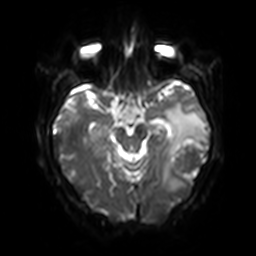
Case summary: 3 Tesla brain MRI. Series: diffusion-weighted imaging with SENSE (WIP). Study: ring-enhancing brain masses.